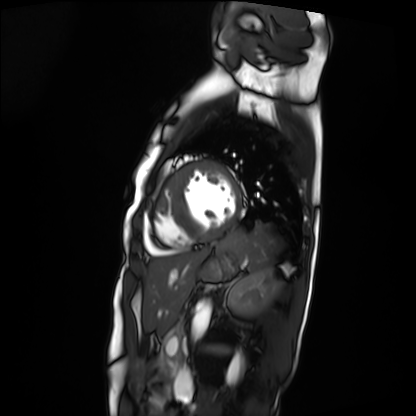
Summary: Cardiac MRI. Subject group: patient.